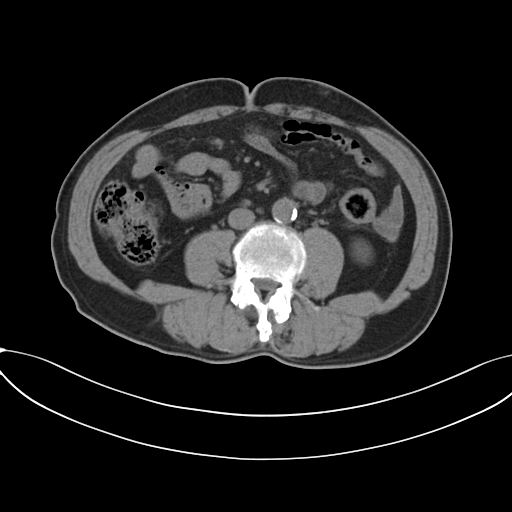
modality — multiphase abdominal CT, liver, non-contrast phase
patient — male, age 61
history — prior chemotherapy